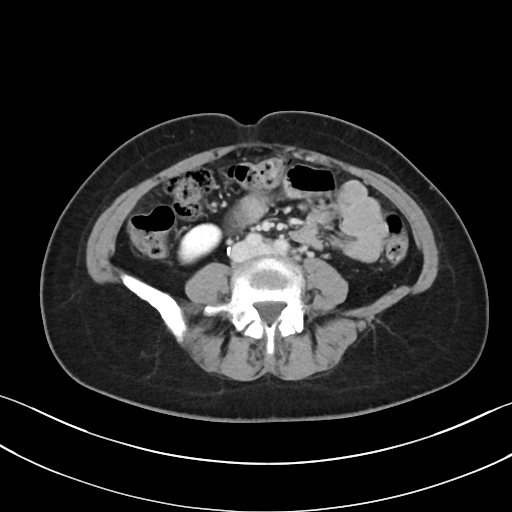
Multiphase abdominal CT, liver, delayed phase. Patient: female, age 47. History: prior chemotherapy.